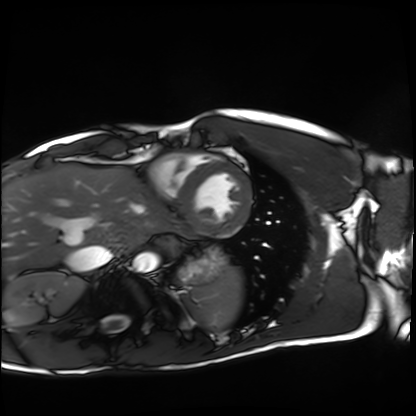
Summary:
Cardiac MRI. Subject group: healthy volunteer.